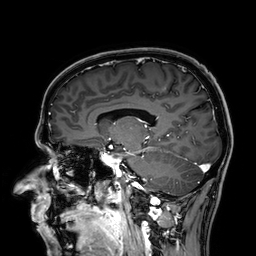
3 Tesla brain MRI. Series: 3D T1-weighted. Study: ring-enhancing brain masses.